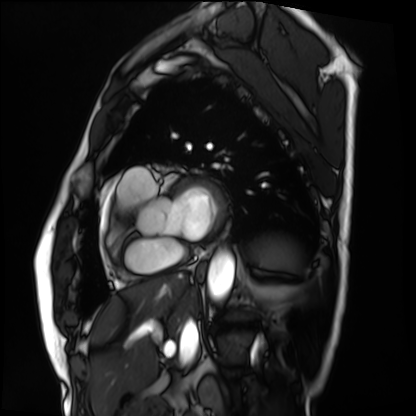
modality: cardiac MRI
subject group: patient